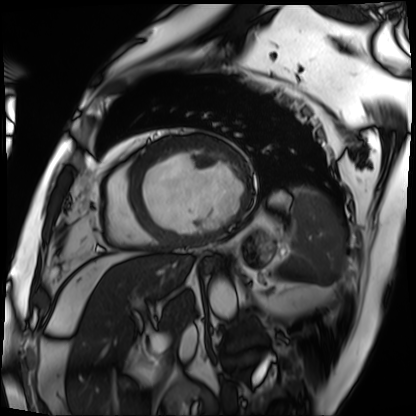
Cardiac MRI.
Subject group: patient.